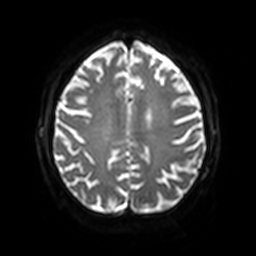
modality=3 Tesla brain MRI; series=diffusion-weighted imaging with SENSE (WIP); study=ring-enhancing brain masses.